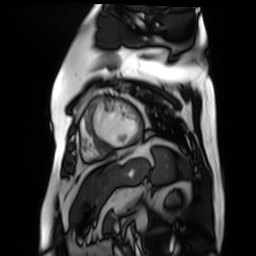
modality: cardiac MR image of the myocardium
cohort: cardiac patient